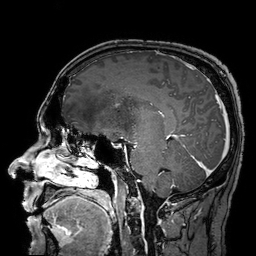
3 Tesla brain MRI. Series: 3D T1-weighted turbo field echo with SENSE. Study: ring-enhancing brain masses.